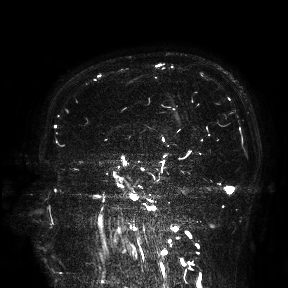
– modality — 3 Tesla brain MRI
– study — ring-enhancing brain masses